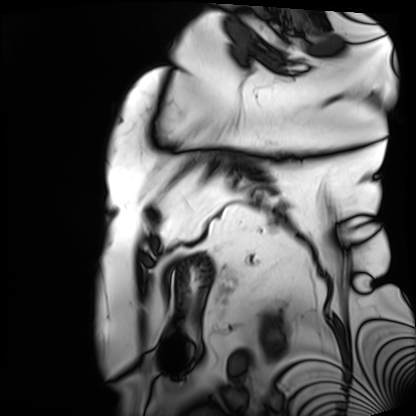
modality: cardiac MRI | subject group: patient.